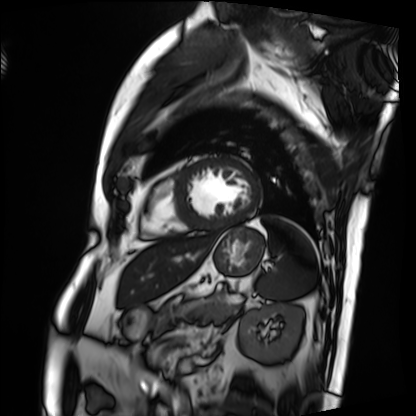
| field | value |
|---|---|
| modality | cardiac MRI |
| subject group | patient |